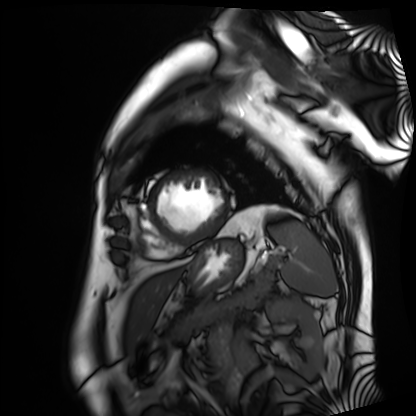
Case summary:
Cardiac MRI. Subject group: patient.